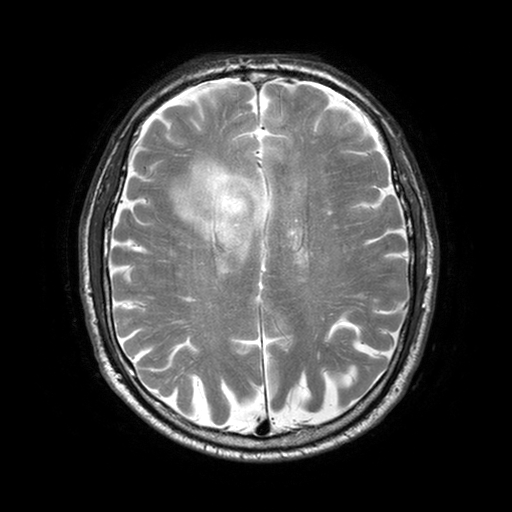
modality: 3 Tesla brain MRI
series: T2-weighted turbo spin echo with SENSE
study: ring-enhancing brain masses